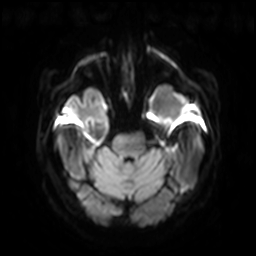
  modality:
    type: brain MRI
    field_strength: 3T
  series: diffusion-weighted imaging with SENSE (WIP)
  study_topic: ring-enhancing brain masses